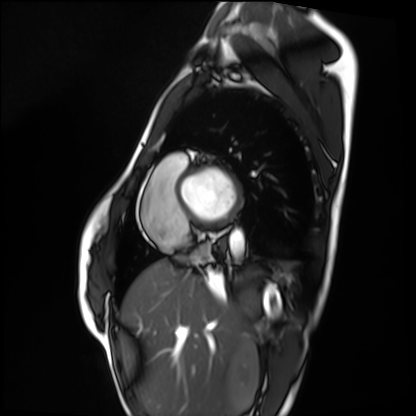
{"modality": "cardiac MRI", "cohort": "healthy volunteer"}